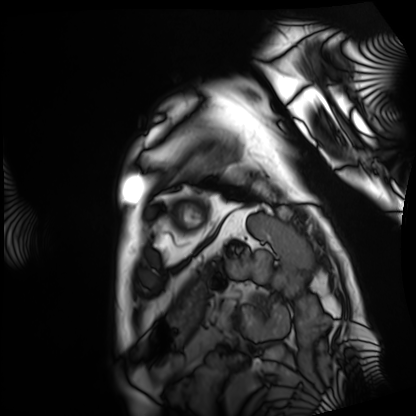
  modality: cardiac MRI
  cohort: patient